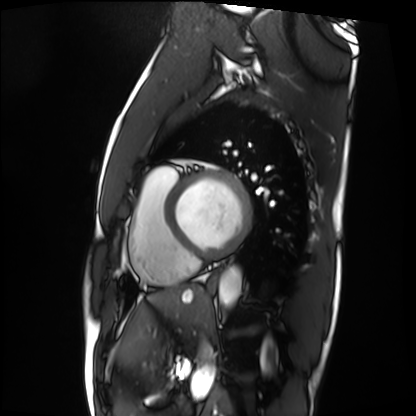
Cardiac MRI. Subject group: patient.